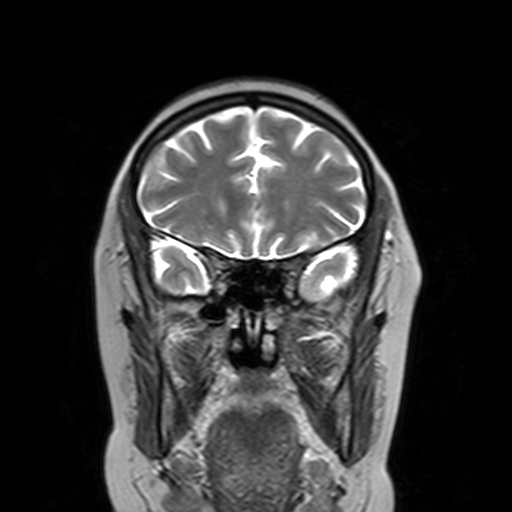
3 Tesla brain MRI.
Series: T2-weighted turbo spin echo with SENSE.
Study: ring-enhancing brain masses.